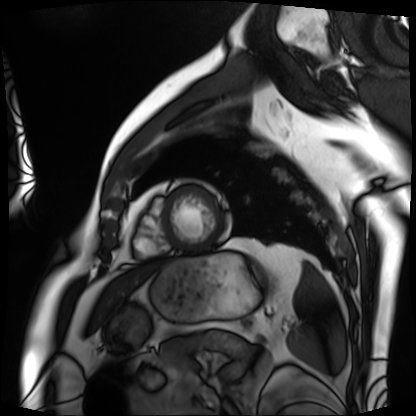
modality = cardiac MRI, subject group = patient.